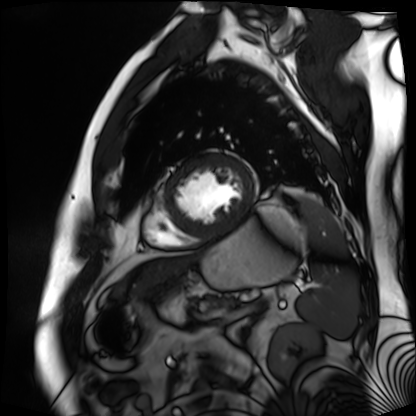
| field | value |
|---|---|
| modality | cardiac MR image of the myocardium |
| subject cohort | cardiac patient |